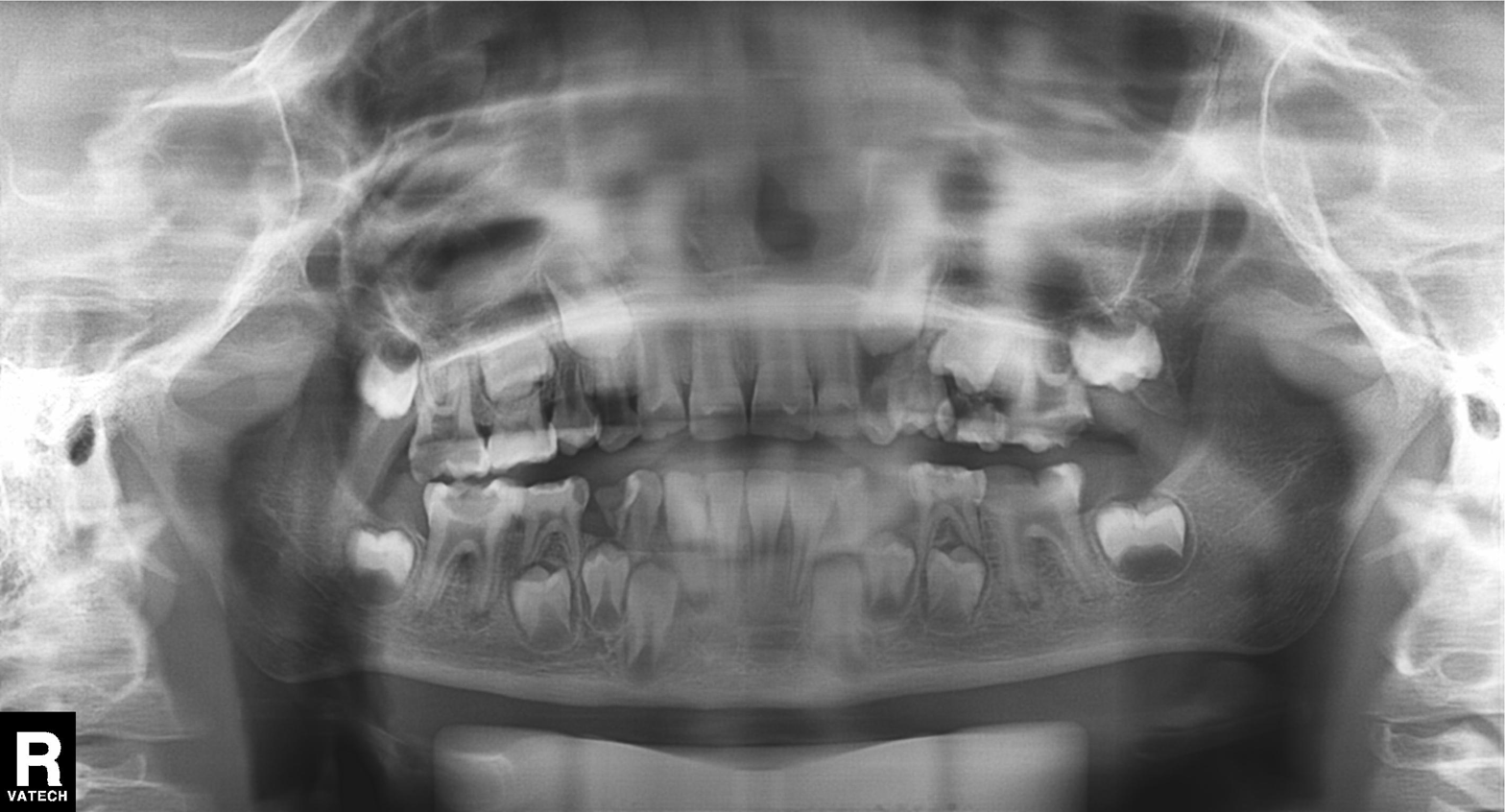
• modality: panoramic dental radiograph (orthopantomogram)
• finding: alveolar bone loss